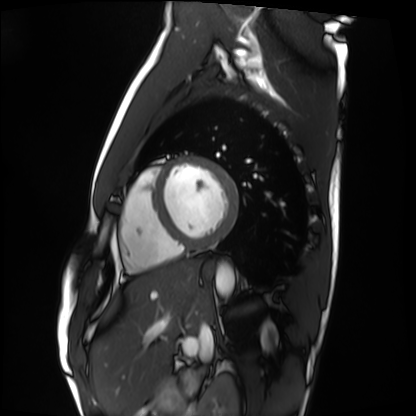
Case summary:
Cardiac MRI. Subject group: healthy volunteer.